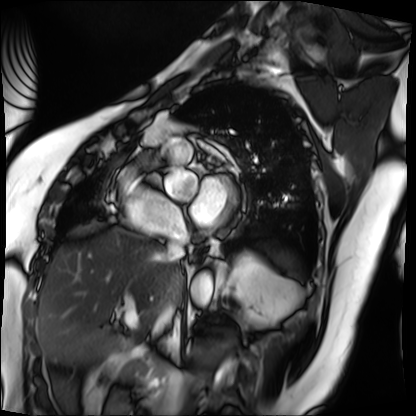
  modality: cardiac MRI
  cohort: patient